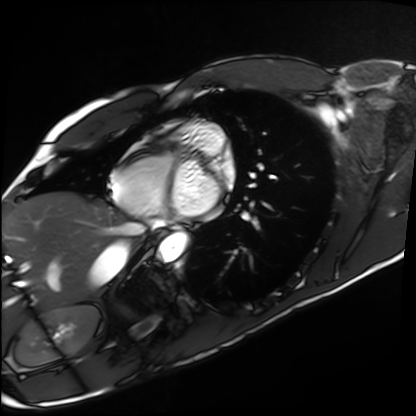
Cardiac MRI. Subject group: healthy volunteer.